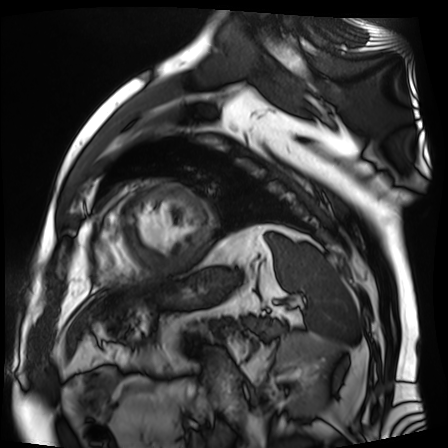
– modality: cardiac MR image of the myocardium
– subject cohort: cardiac patient